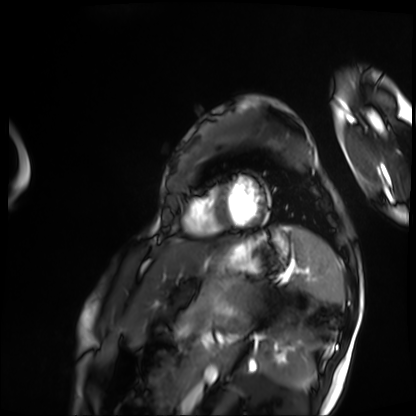
modality: cardiac MRI, subject group: patient.